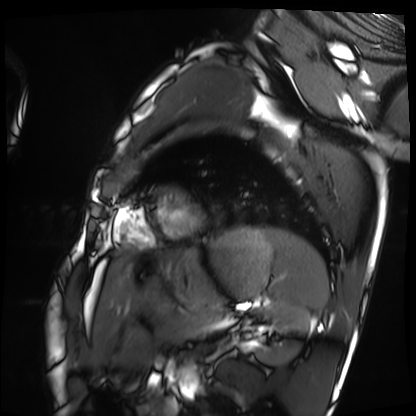
Case summary: Cardiac MRI. Subject group: healthy volunteer.